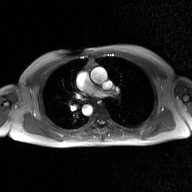
Clinical context:
2D phase-contrast cine MRI of the ascending aorta, GAN super-resolution reconstruction.